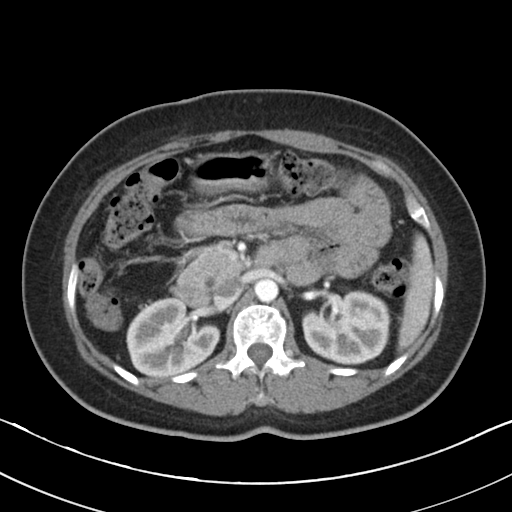
modality = multiphase abdominal CT, liver, arterial phase
patient = female, age 50